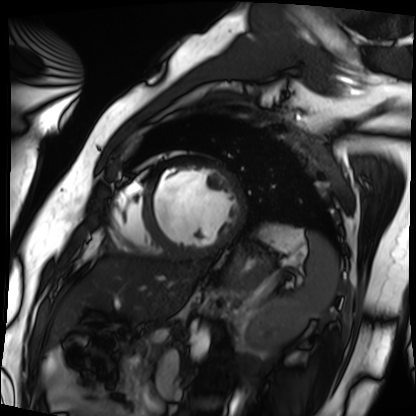
modality: cardiac MRI | subject group: patient.